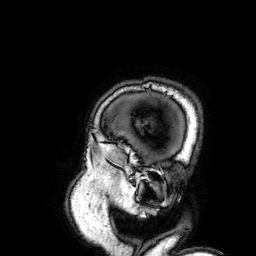
Case summary: 3 Tesla brain MRI. Series: 3D T1-weighted. Study: ring-enhancing brain masses.